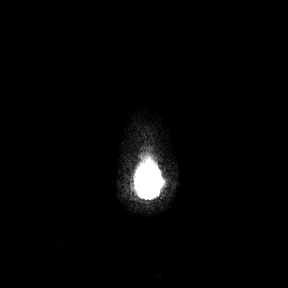
3 Tesla brain MRI.
Series: axial.
Study: ring-enhancing brain masses.